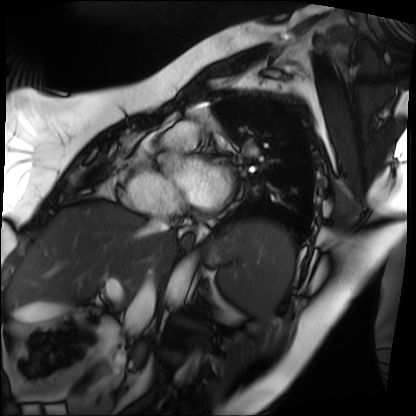
| field | value |
|---|---|
| modality | cardiac MRI |
| subject group | patient |